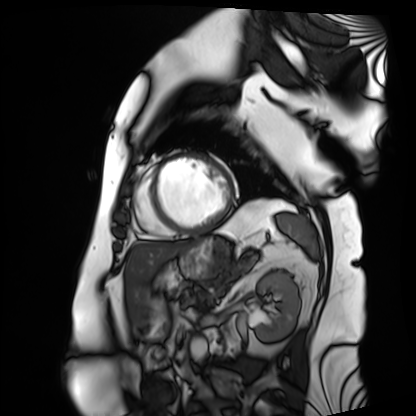
Cardiac MRI. Subject group: patient.